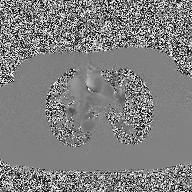
2D phase-contrast cine MRI of the ascending aorta, high-resolution GRAPPA acquisition.